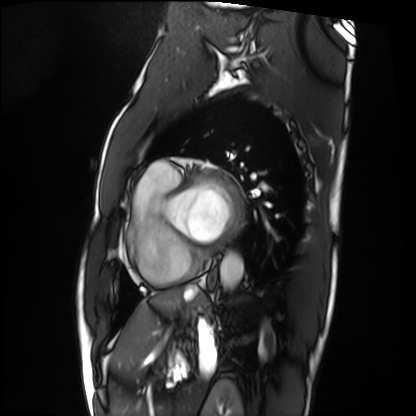
Cardiac MRI. Subject group: patient.